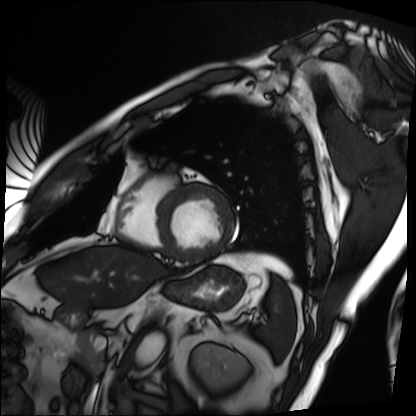
modality — cardiac MRI | subject group — patient.